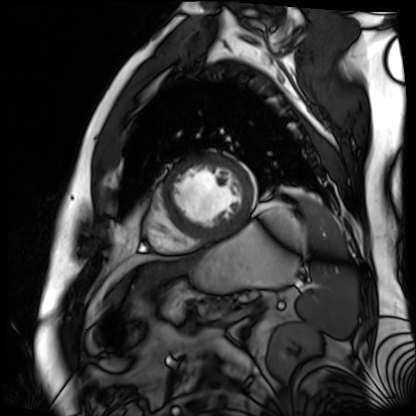
| field | value |
|---|---|
| modality | cardiac MR image of the myocardium |
| subject cohort | cardiac patient |